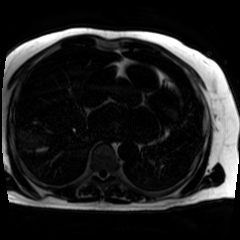
Chemical-shift-encoded cardiac MRI.